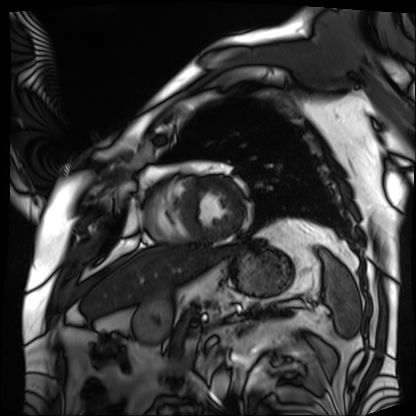
modality: cardiac MRI
subject group: patient